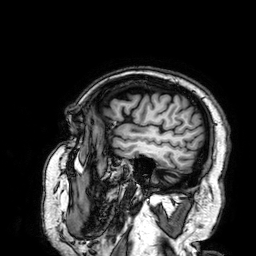
Case:
* modality — 3 Tesla brain MRI
* study — ring-enhancing brain masses